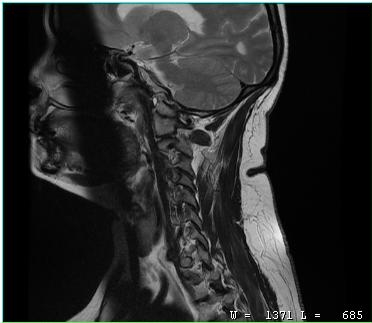
modality: MRI of the cervical spine; study: cervical spondylosis.